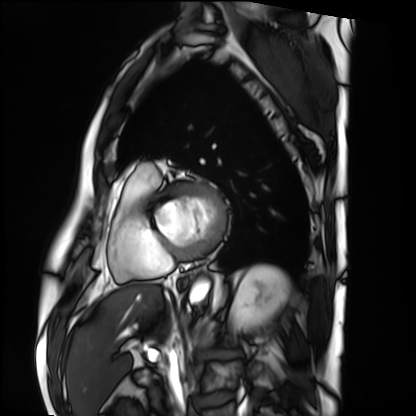
Cardiac MRI. Subject group: patient.